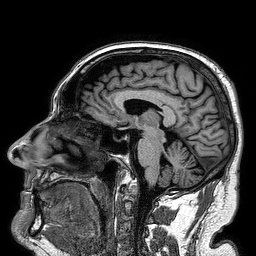
| field | value |
|---|---|
| modality | 3 Tesla brain MRI |
| series | 3D T1-weighted turbo field echo |
| study | ring-enhancing brain masses |